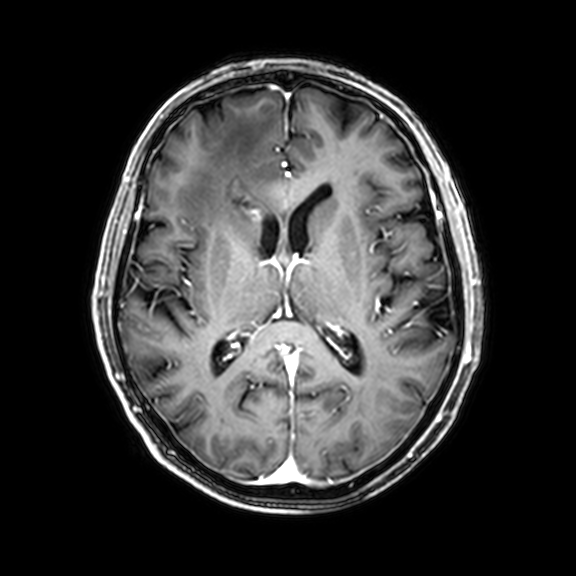
3 Tesla brain MRI. Series: 3D T1-weighted with CLEAR. Study: ring-enhancing brain masses.